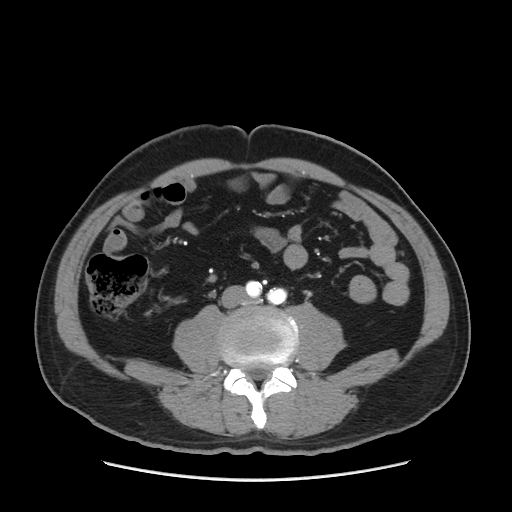
| field | value |
|---|---|
| modality | multiphase abdominal CT, liver, arterial phase |
| patient | male, age 51 |
| history | cirrhosis, viral hepatitis |